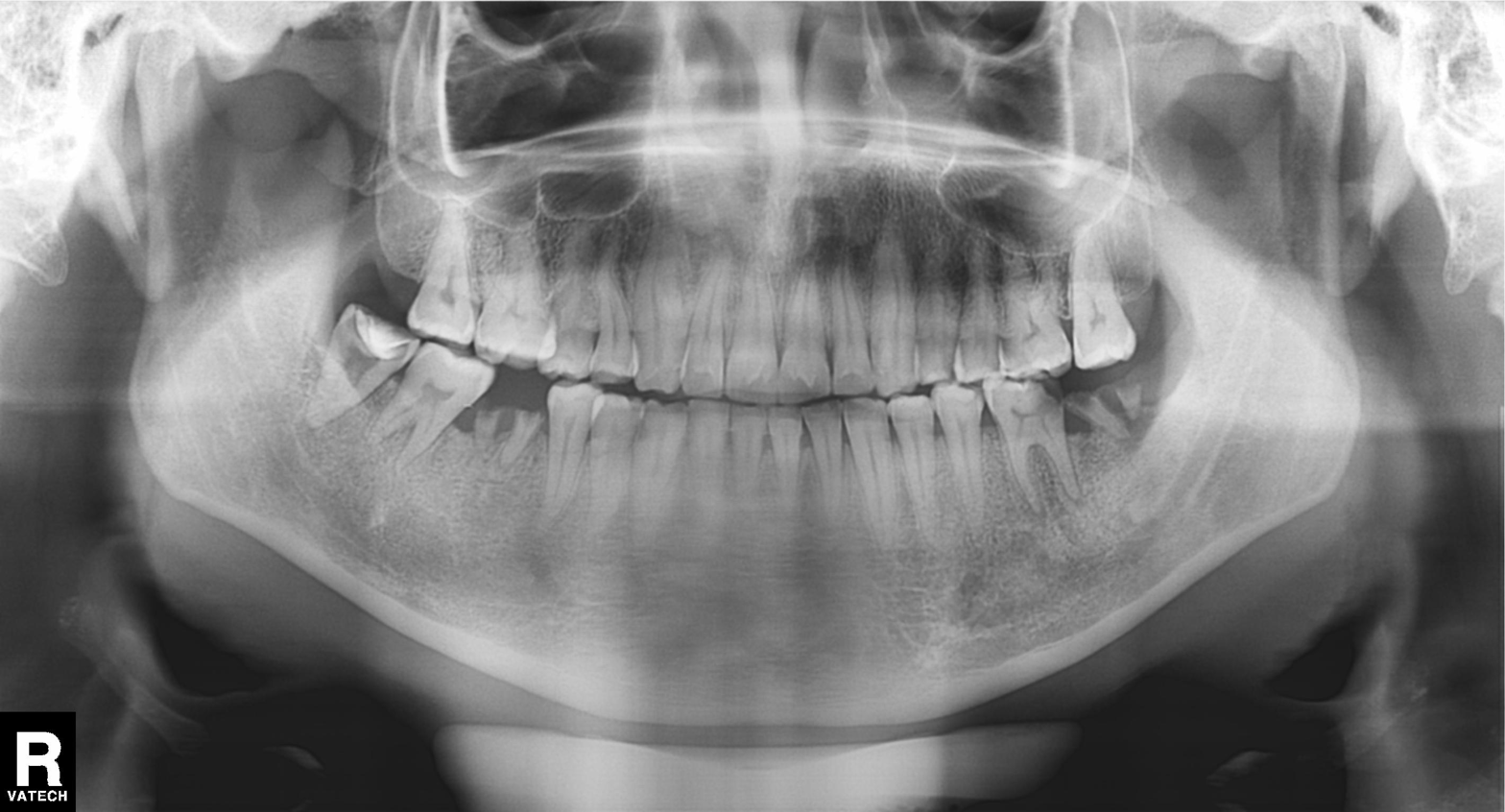
| feature | finding |
|---|---|
| modality | panoramic dental radiograph (orthopantomogram) |
| finding | alveolar bone loss |